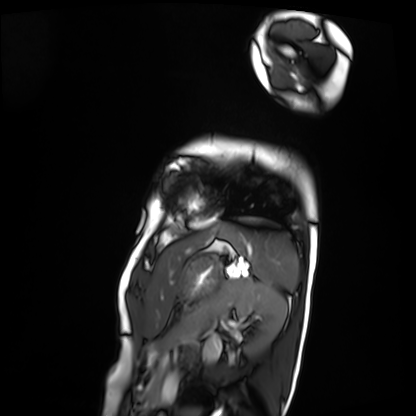
Clinical context: Cardiac MRI. Subject group: patient.